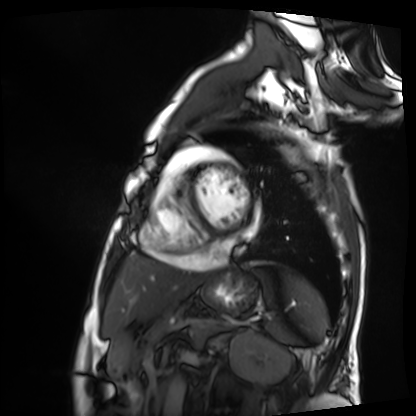
Summary: Cardiac MRI. Subject group: patient.